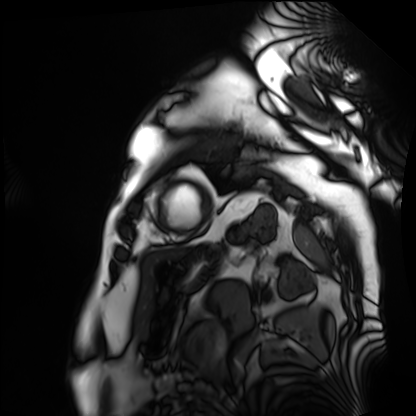
Cardiac MRI.
Subject group: patient.